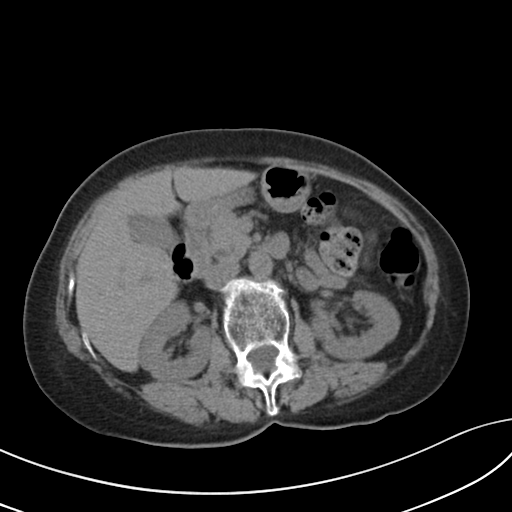
Multiphase abdominal CT, liver, non-contrast phase. Patient: female, age 67. History: viral hepatitis.